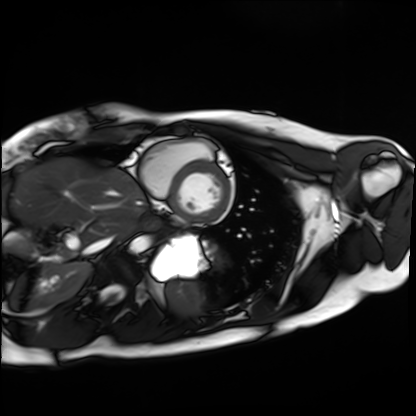
Q: What kind of scan is this?
A: Cardiac MRI.
Subject group: healthy volunteer.